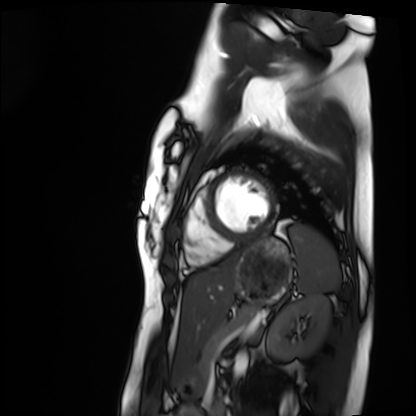
modality: cardiac MRI, subject group: healthy volunteer.